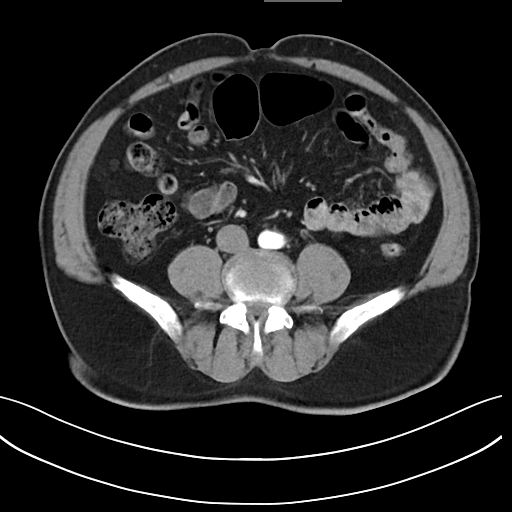
modality: multiphase abdominal CT, liver, arterial phase; patient: male, age 71.